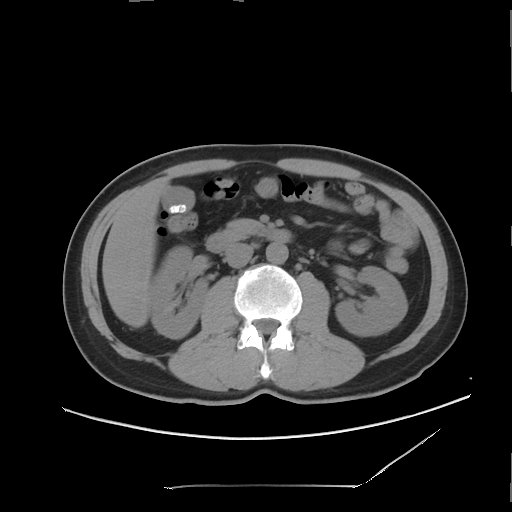
modality = multiphase abdominal CT, liver, non-contrast phase | patient = male, age 50 | history = viral hepatitis.